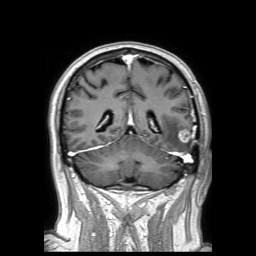
{"modality": {"type": "brain MRI", "field_strength": "3T"}, "series": "3D T1-weighted TFE with SENSE", "study_topic": "ring-enhancing brain masses"}